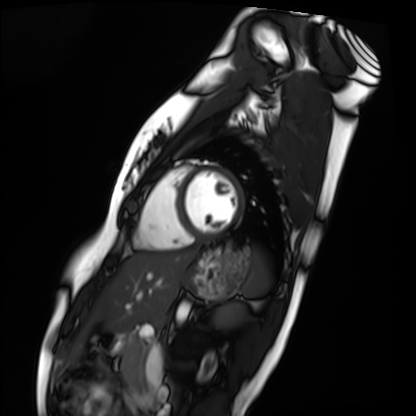
Cardiac MRI. Subject group: healthy volunteer.